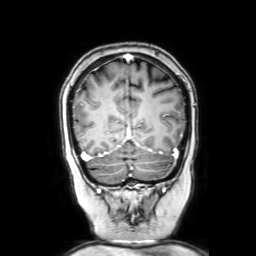
Q: What kind of scan is this?
A: 3 Tesla brain MRI.
Q: Series?
A: Coronal with contrast.
Study: ring-enhancing brain masses.